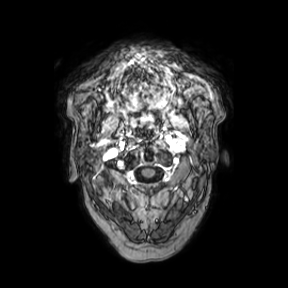
Summary: 3 Tesla brain MRI. Series: axial. Study: ring-enhancing brain masses.